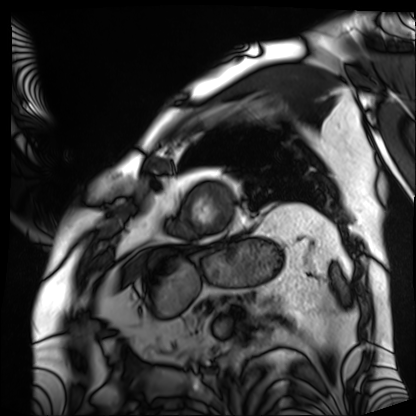
Cardiac MRI.
Subject group: patient.